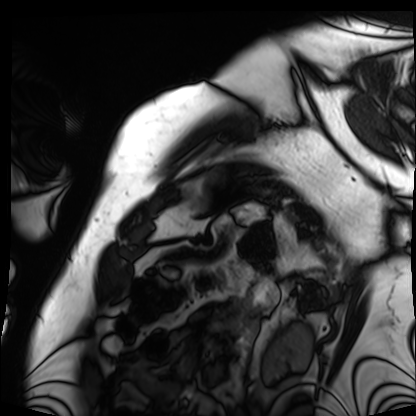
modality=cardiac MRI | subject group=patient.